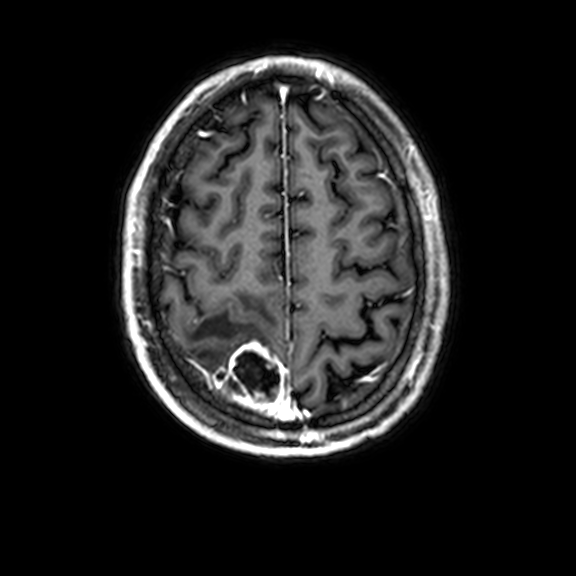
3 Tesla brain MRI. Series: 3D T1-weighted with CLEAR. Study: ring-enhancing brain masses.